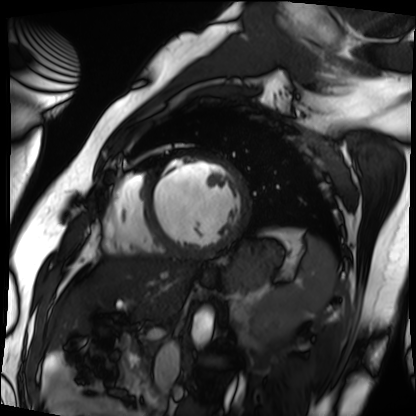
Clinical context:
Cardiac MRI. Subject group: patient.